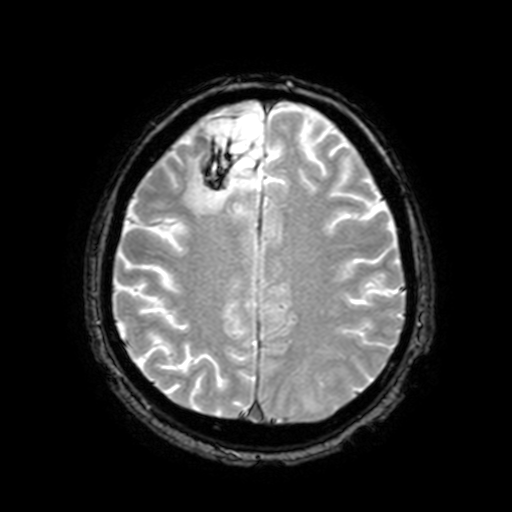
3 Tesla brain MRI.
Series: T2-weighted fast field echo with SENSE.
Study: ring-enhancing brain masses.